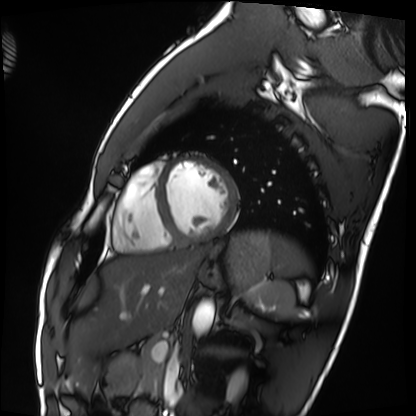
Cardiac MRI. Subject group: healthy volunteer.